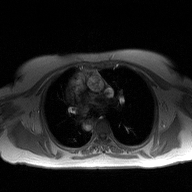
- modality — 2D phase-contrast cine MRI of the ascending aorta